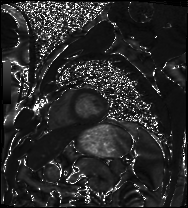
Cardiac MRI. Subject group: patient.